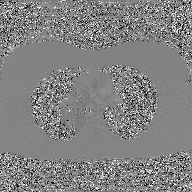
2D phase-contrast cine MRI of the ascending aorta, GAN super-resolution reconstruction.